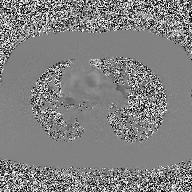
2D phase-contrast cine MRI of the ascending aorta, high-resolution GRAPPA acquisition.